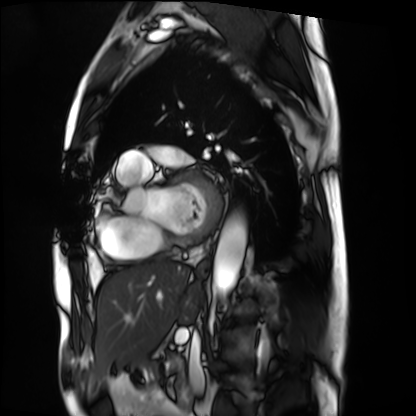
Clinical context: Cardiac MRI. Subject group: patient.